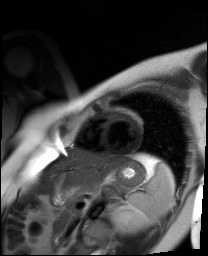
- modality · cardiac MR image of the myocardium
- subject cohort · healthy volunteer